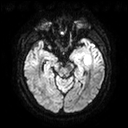
Summary:
3 Tesla brain MRI. Series: diffusion tensor imaging (medium iso). Study: ring-enhancing brain masses.